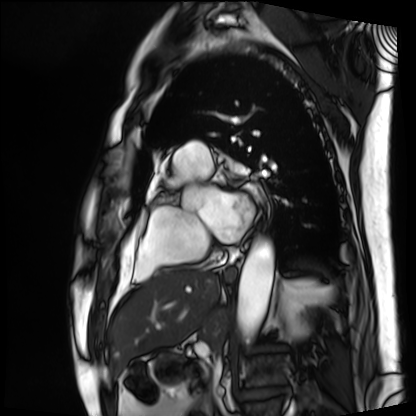
Cardiac MRI.
Subject group: patient.